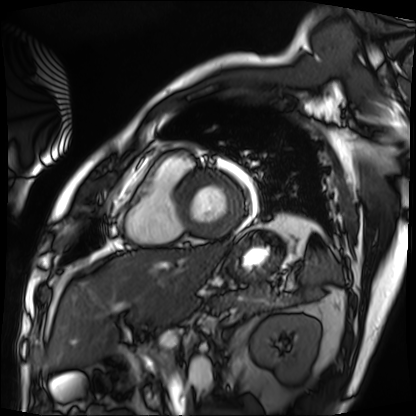
Cardiac MRI. Subject group: patient.